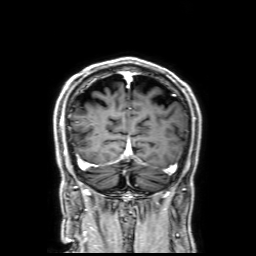
Case summary: 3 Tesla brain MRI. Series: 3D T1-weighted with SENSE. Study: ring-enhancing brain masses.